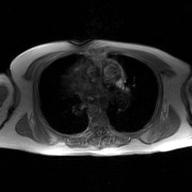
2D phase-contrast cine MRI of the ascending aorta, GAN super-resolution reconstruction.